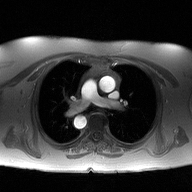
Q: What kind of scan is this?
A: 2D phase-contrast cine MRI of the ascending aorta.